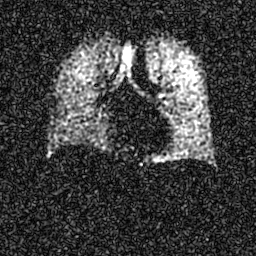
Hyperpolarized 129Xe ventilation MRI of the lungs. SNR level 7 of 8 (the deposit holds this scan as its native image and as seven SNR-degraded versions).